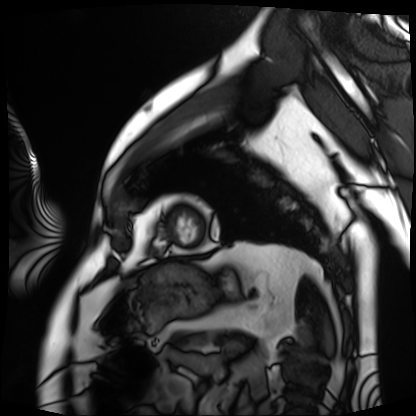
{
  "modality": "cardiac MRI",
  "cohort": "patient"
}